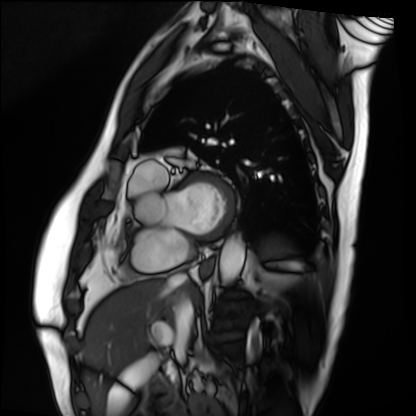
Summary: Cardiac MRI. Subject group: patient.